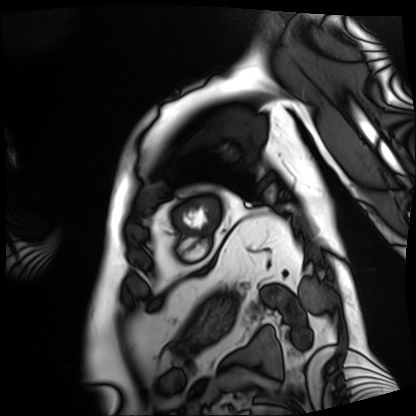
Cardiac MRI. Subject group: patient.